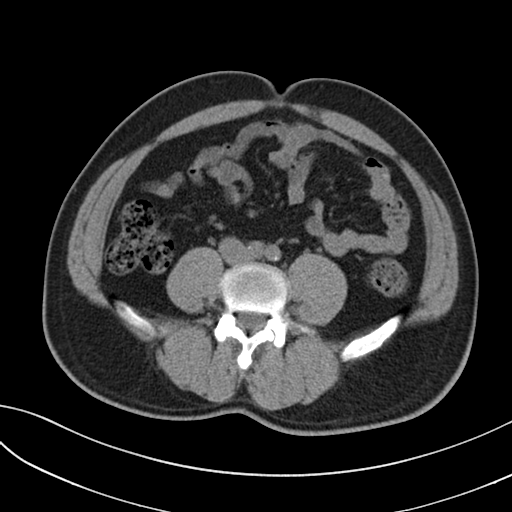
Multiphase abdominal CT, liver, non-contrast phase. Patient: male, age 40. History: prior chemotherapy.